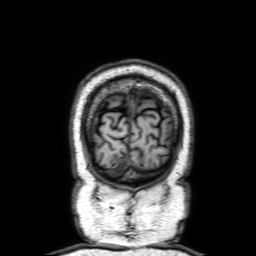
3 Tesla brain MRI.
Series: 3D T1-weighted with SENSE.
Study: ring-enhancing brain masses.